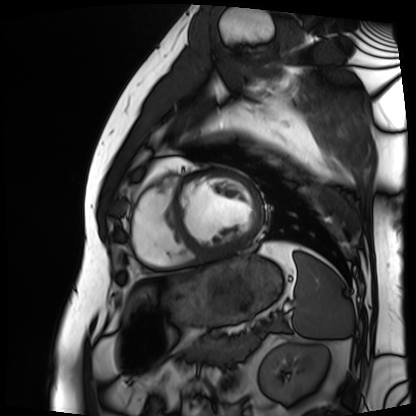
| field | value |
|---|---|
| modality | cardiac MRI |
| subject group | patient |